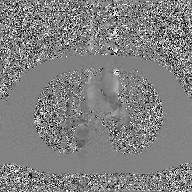
Case:
• modality · 2D phase-contrast cine MRI of the ascending aorta, GAN super-resolution reconstruction